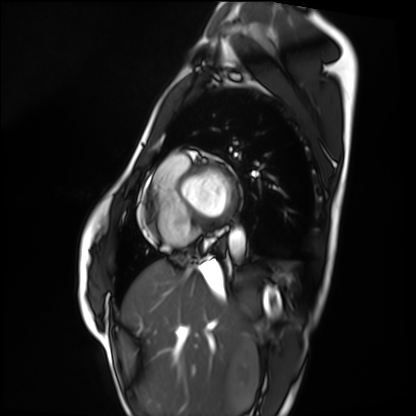
Cardiac MRI.
Subject group: healthy volunteer.